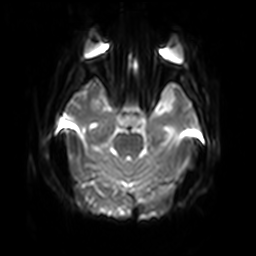
Q: What kind of scan is this?
A: 3 Tesla brain MRI.
Q: Series?
A: Diffusion-weighted imaging with SENSE (WIP).
Study: ring-enhancing brain masses.